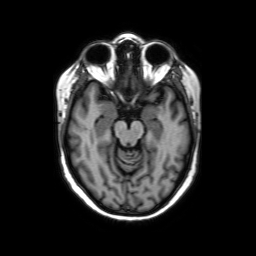
3 Tesla brain MRI. Series: axial without contrast. Study: ring-enhancing brain masses.